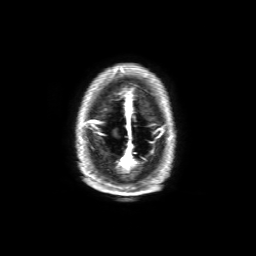
3 Tesla brain MRI. Study: ring-enhancing brain masses.